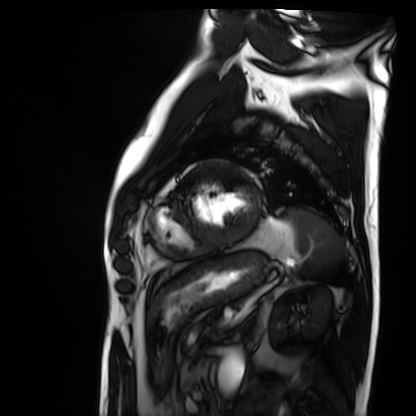
Cardiac MRI. Subject group: patient.